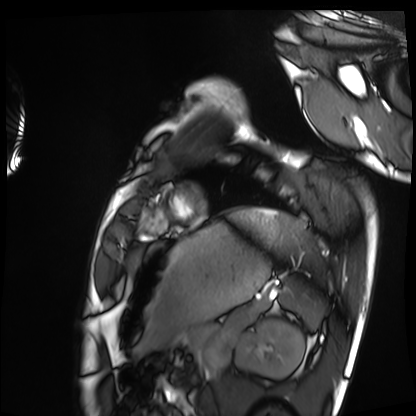
Cardiac MRI. Subject group: healthy volunteer.